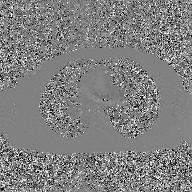
Case summary: 2D phase-contrast cine MRI of the ascending aorta, GAN super-resolution reconstruction.